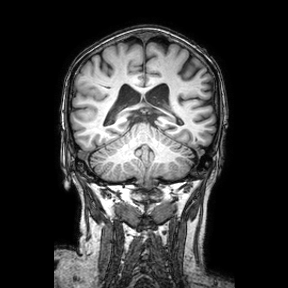
Case:
- modality: 3 Tesla brain MRI
- series: coronal
- study: ring-enhancing brain masses